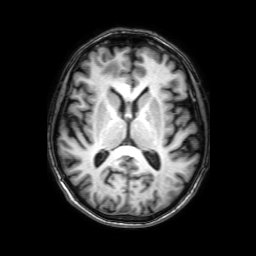
modality: 3 Tesla brain MRI | series: 3D T1-weighted with SENSE | study: ring-enhancing brain masses.